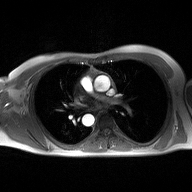
2D phase-contrast cine MRI of the ascending aorta, high-resolution GRAPPA acquisition.